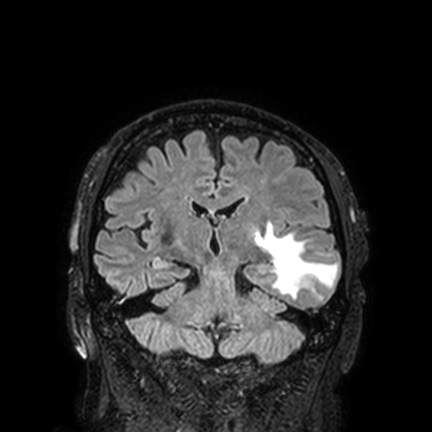
Q: What kind of scan is this?
A: 3 Tesla brain MRI.
Q: Series?
A: FLAIR VISTA with SENSE.
Study: ring-enhancing brain masses.